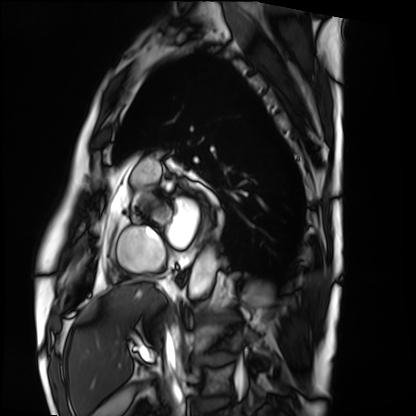
Case:
* modality · cardiac MRI
* subject group · patient